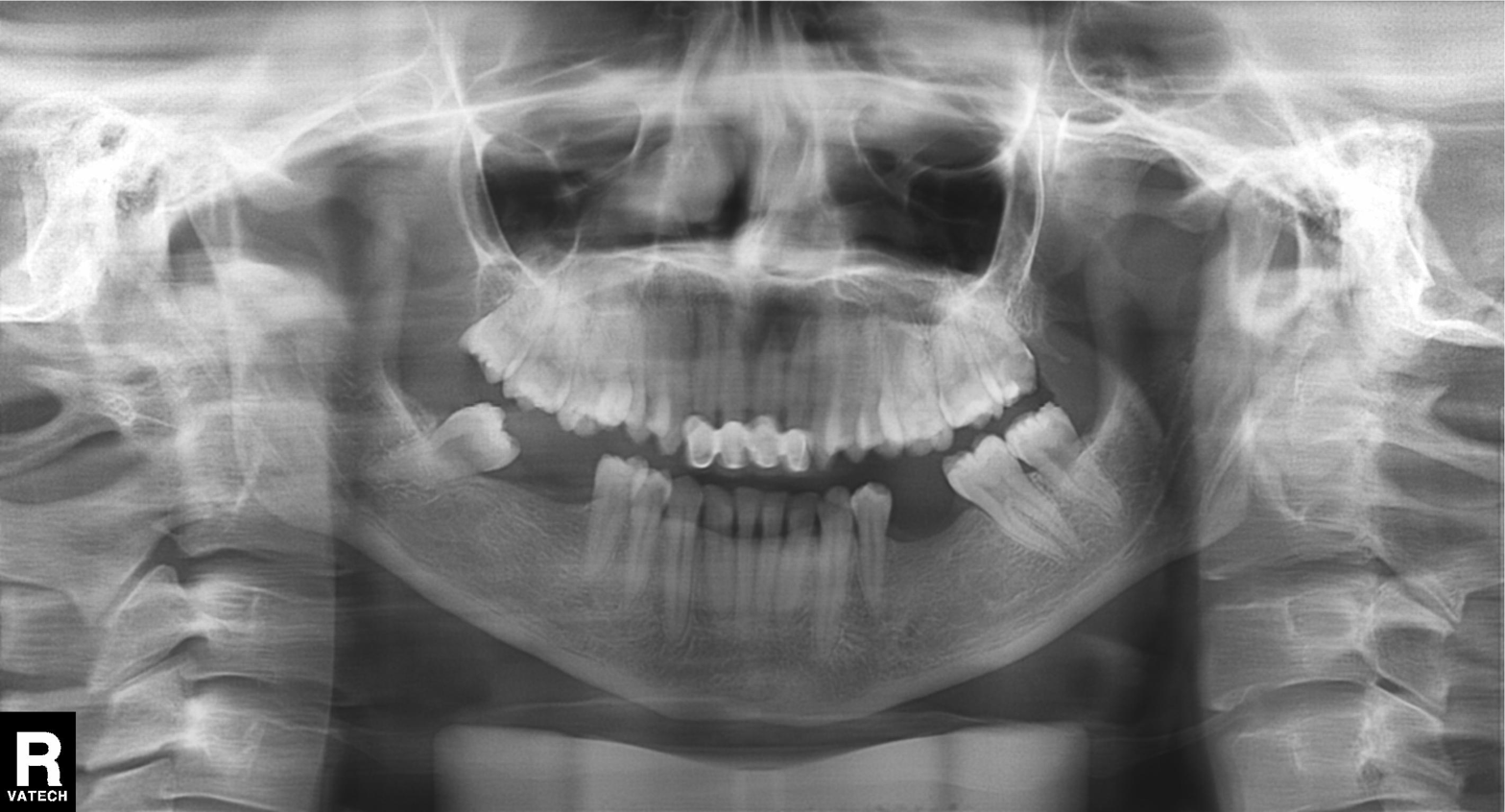
Summary: Panoramic dental radiograph (orthopantomogram).
Conclusion: Alveolar bone loss.